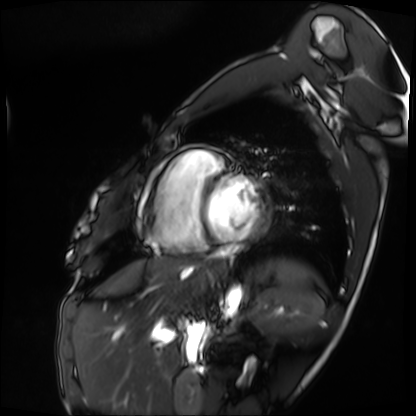
Cardiac MRI. Subject group: patient.